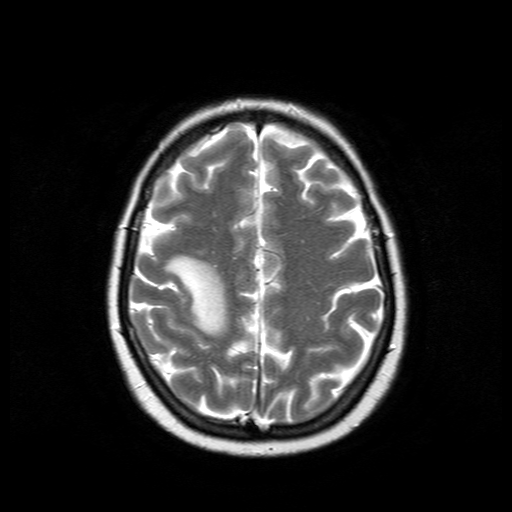
3 Tesla brain MRI.
Series: T2-weighted turbo spin echo.
Study: ring-enhancing brain masses.